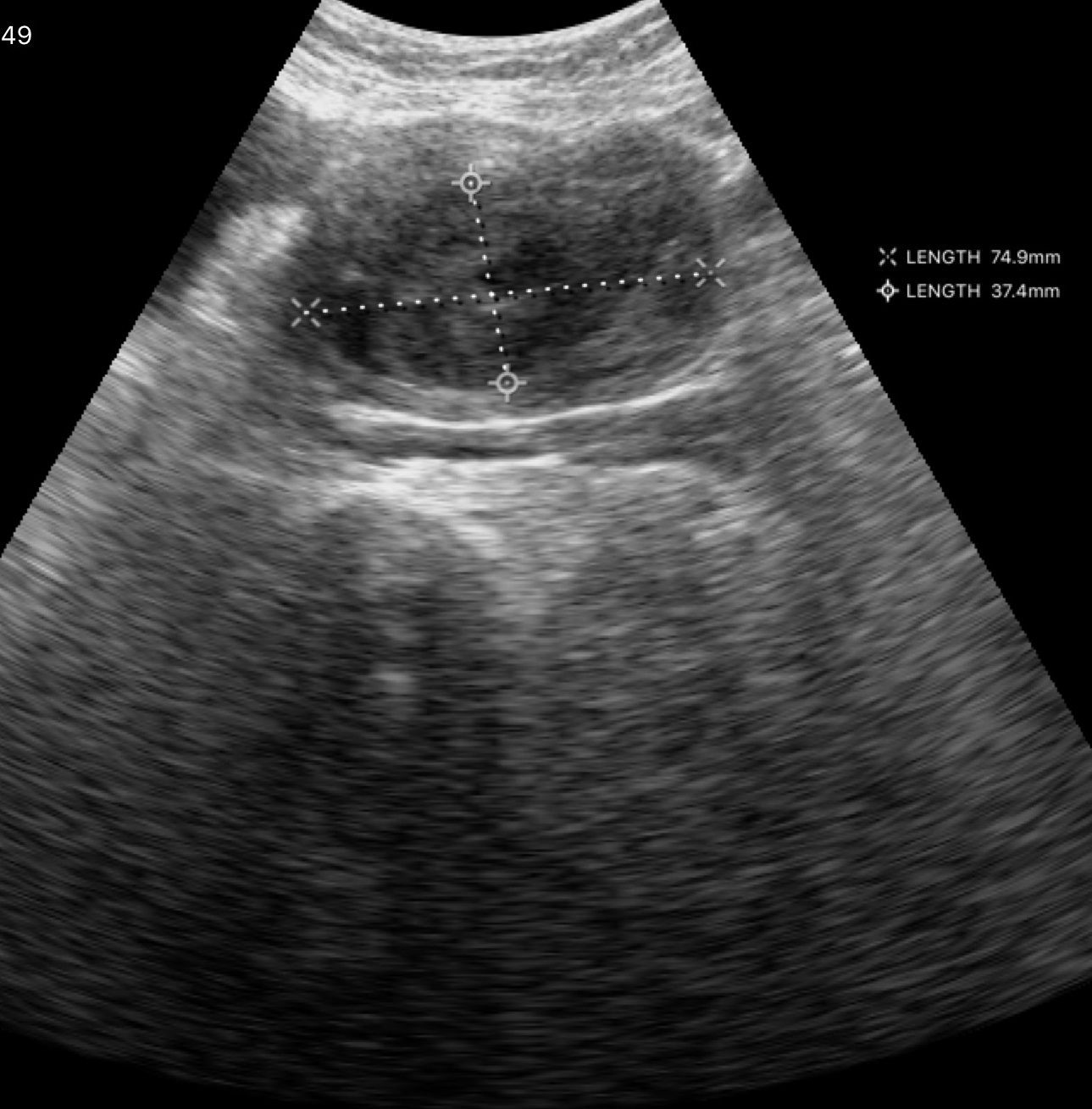
modality: genitourinary ultrasound.